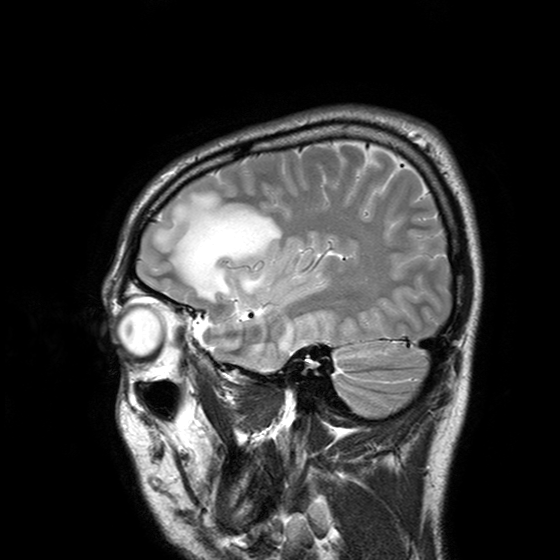
3 Tesla brain MRI.
Series: T2-weighted turbo spin echo with SENSE.
Study: ring-enhancing brain masses.